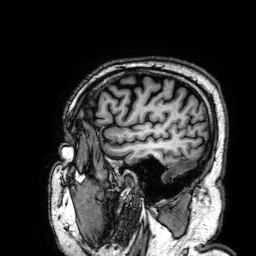
<scan>
<modality>
  <type>brain MRI</type>
  <field_strength>3T</field_strength>
</modality>
<series>3D T1-weighted</series>
<study_topic>ring-enhancing brain masses</study_topic>
</scan>